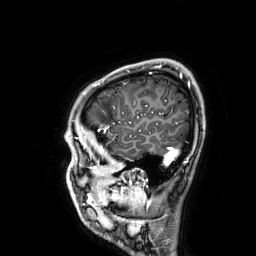
3 Tesla brain MRI.
Series: 3D T1-weighted.
Study: ring-enhancing brain masses.